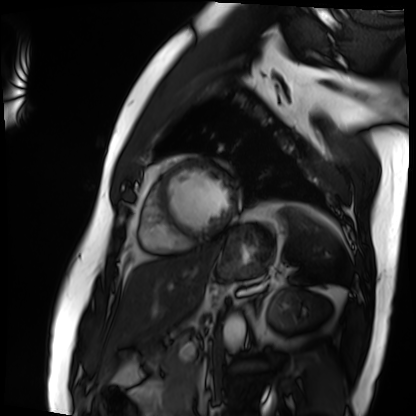
{"modality": "cardiac MRI", "cohort": "patient"}